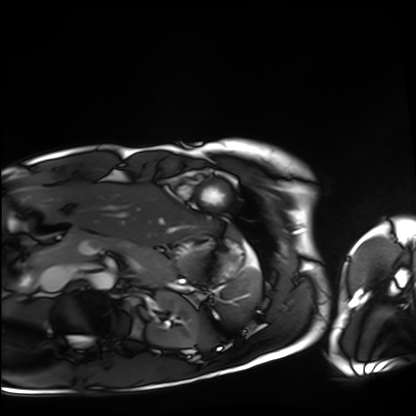
Summary:
Cardiac MRI. Subject group: healthy volunteer.